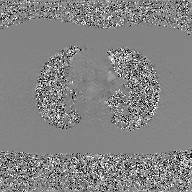
modality:
  type: 2D phase-contrast cine MRI
  region: ascending aorta
  reconstruction: GAN super-resolution reconstruction